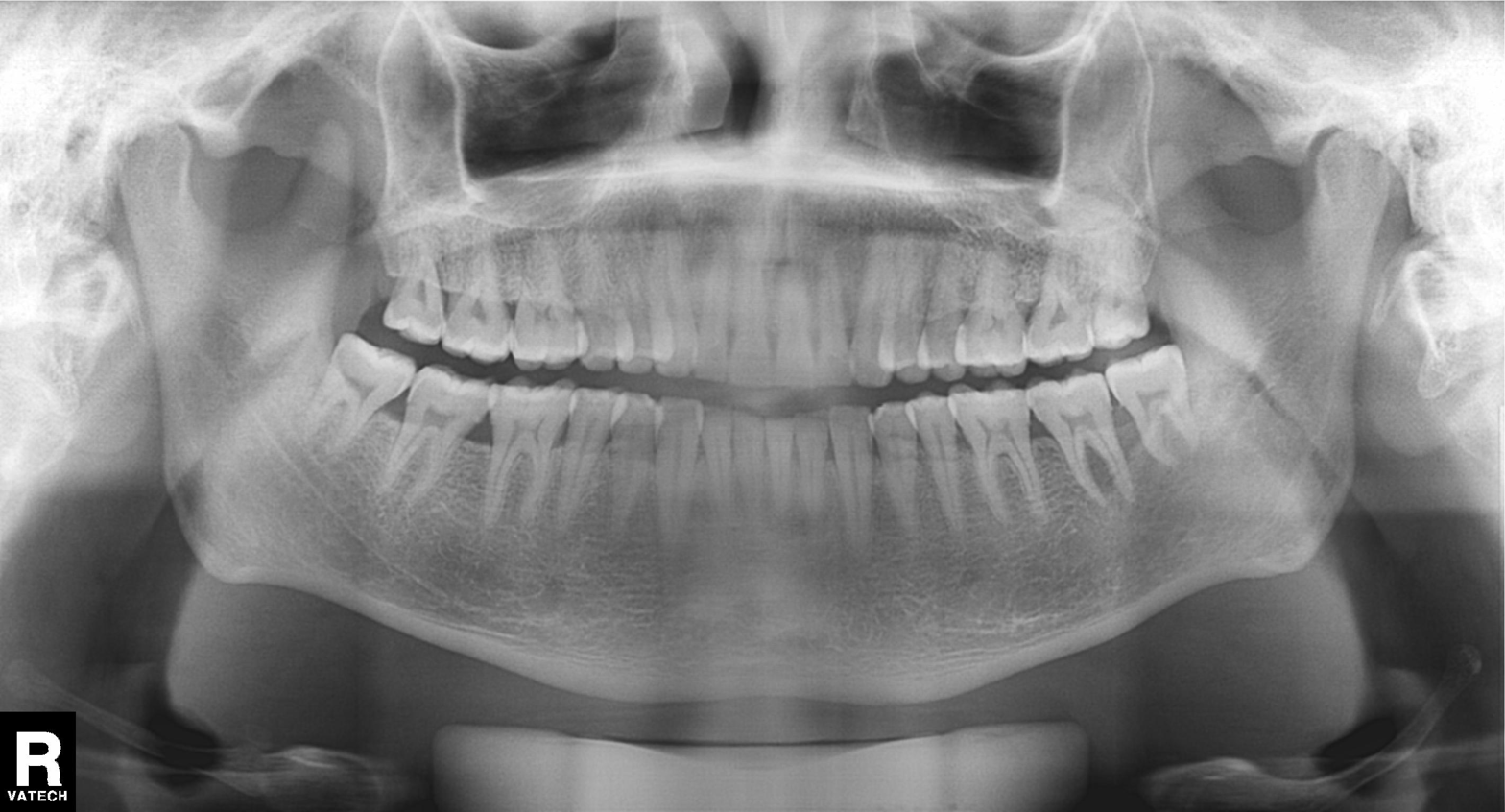
Q: What kind of scan is this?
A: Panoramic dental radiograph (orthopantomogram).
Q: What is the radiographic finding?
A: Dental caries (cavities).